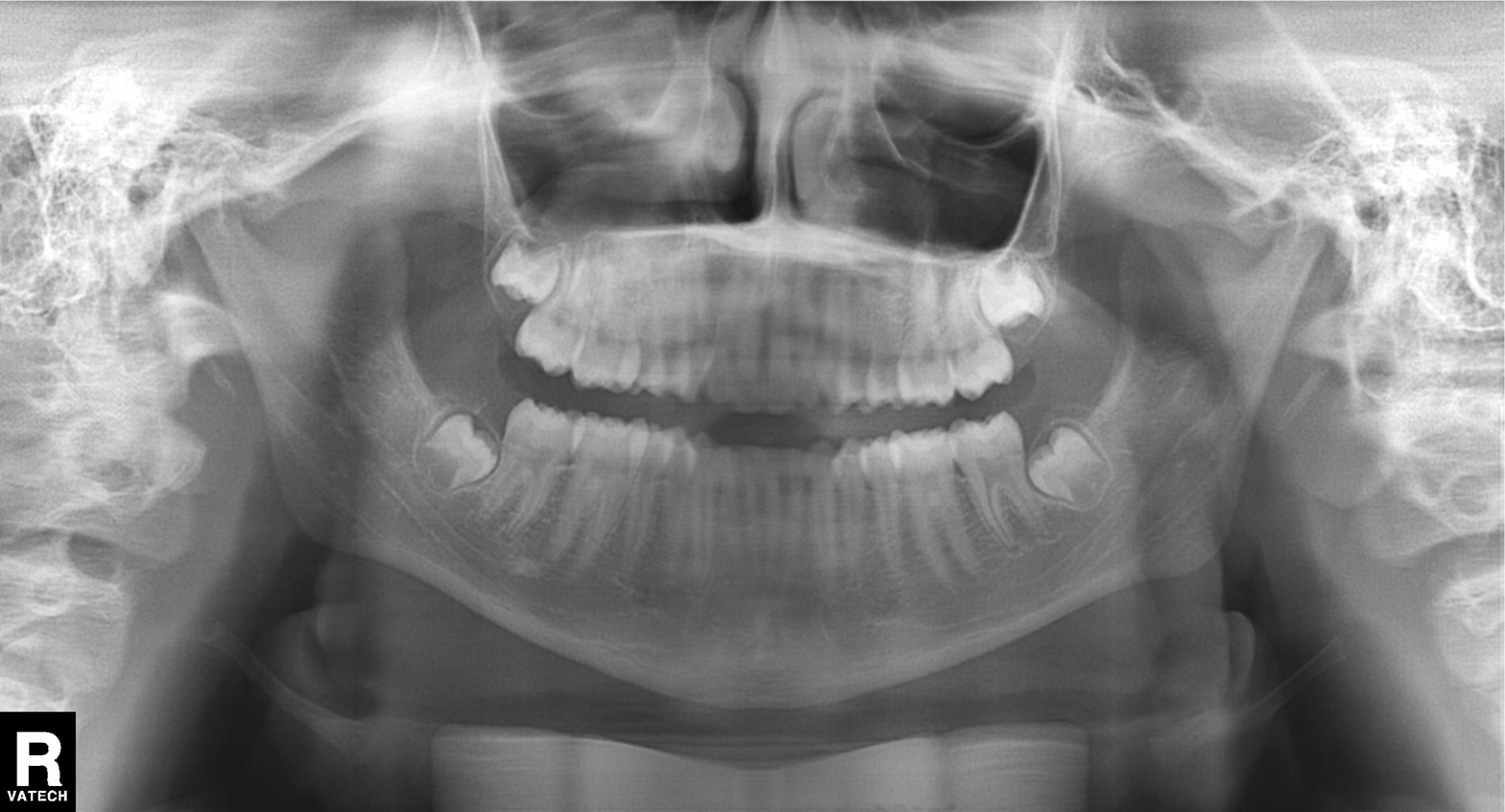
Q: What kind of scan is this?
A: Panoramic dental radiograph (orthopantomogram).
Q: What is the radiographic finding?
A: Alveolar bone loss.